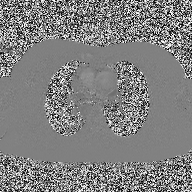
2D phase-contrast cine MRI of the ascending aorta, high-resolution GRAPPA acquisition.